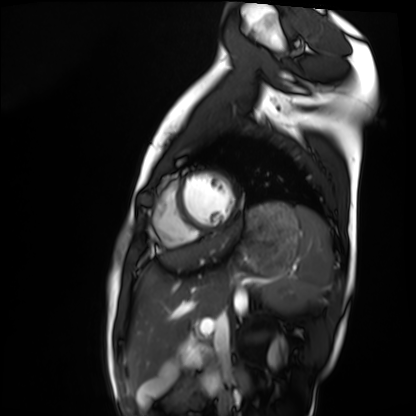
Case summary:
Cardiac MRI. Subject group: healthy volunteer.